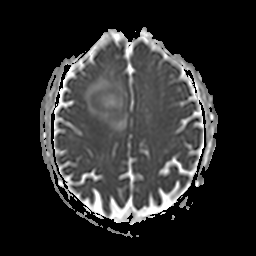
3 Tesla brain MRI.
Series: apparent diffusion coefficient (ADC) map.
Study: ring-enhancing brain masses.